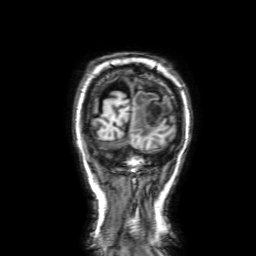
3 Tesla brain MRI. Series: 3D T1-weighted with SENSE. Study: ring-enhancing brain masses.